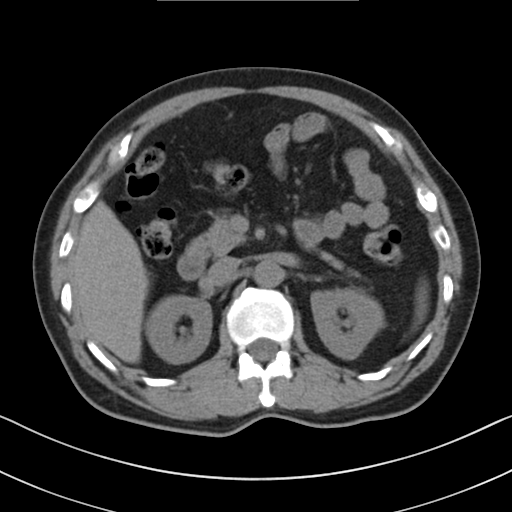
Multiphase abdominal CT, liver, non-contrast phase.
Patient: male, age 60.
History: cirrhosis, viral hepatitis.